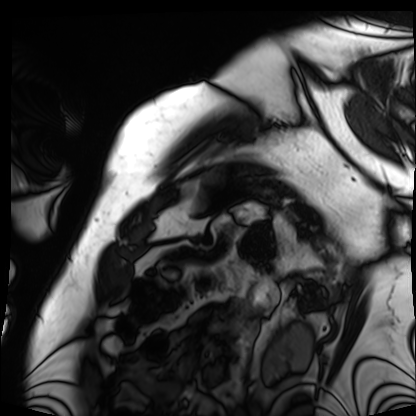
Cardiac MRI. Subject group: patient.